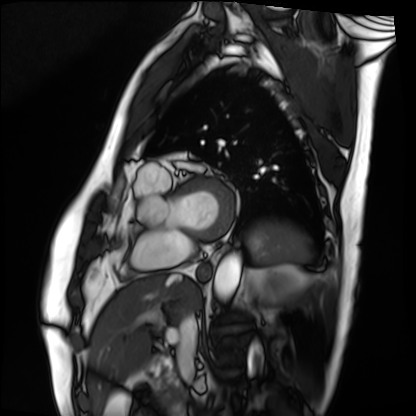
Cardiac MRI. Subject group: patient.